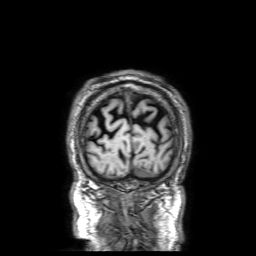
modality=3 Tesla brain MRI | series=3D T1-weighted with SENSE | study=ring-enhancing brain masses.